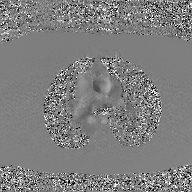
modality: 2D phase-contrast cine MRI of the ascending aorta, GAN super-resolution reconstruction